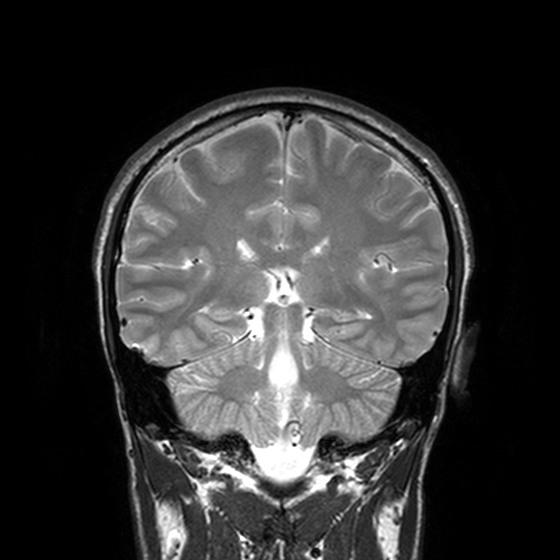
Summary: 3 Tesla brain MRI. Series: T2-weighted turbo spin echo, 3 mm. Study: ring-enhancing brain masses.